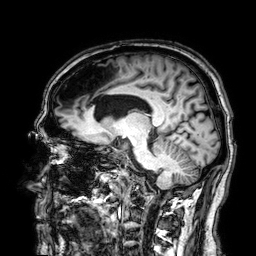
3 Tesla brain MRI.
Series: 3D T1-weighted.
Study: ring-enhancing brain masses.